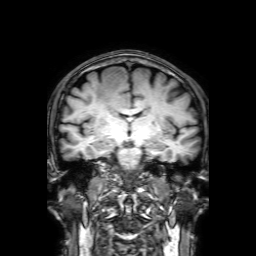
modality = 3 Tesla brain MRI; series = 3D T1-weighted with SENSE; study = ring-enhancing brain masses.